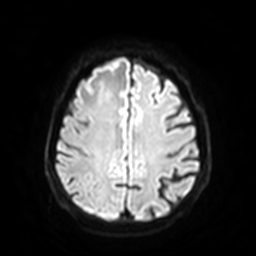
| field | value |
|---|---|
| modality | 3 Tesla brain MRI |
| series | diffusion-weighted imaging with SENSE (WIP) |
| study | ring-enhancing brain masses |